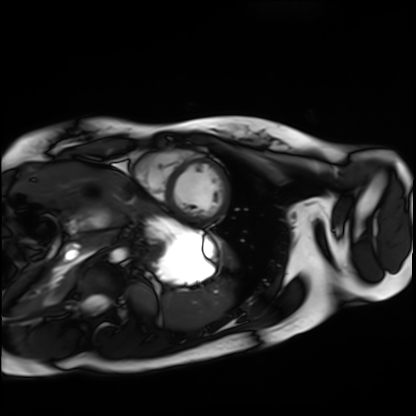
Case summary: Cardiac MRI. Subject group: healthy volunteer.